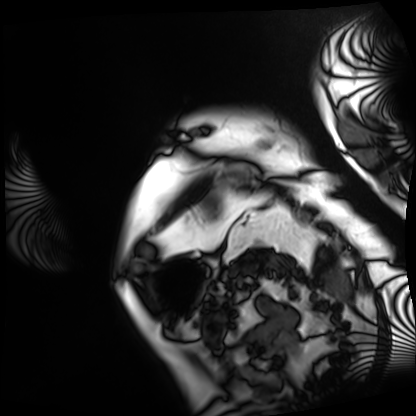
Cardiac MRI. Subject group: patient.